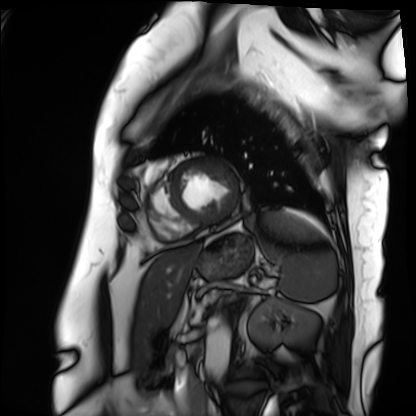
  modality: cardiac MRI
  cohort: patient